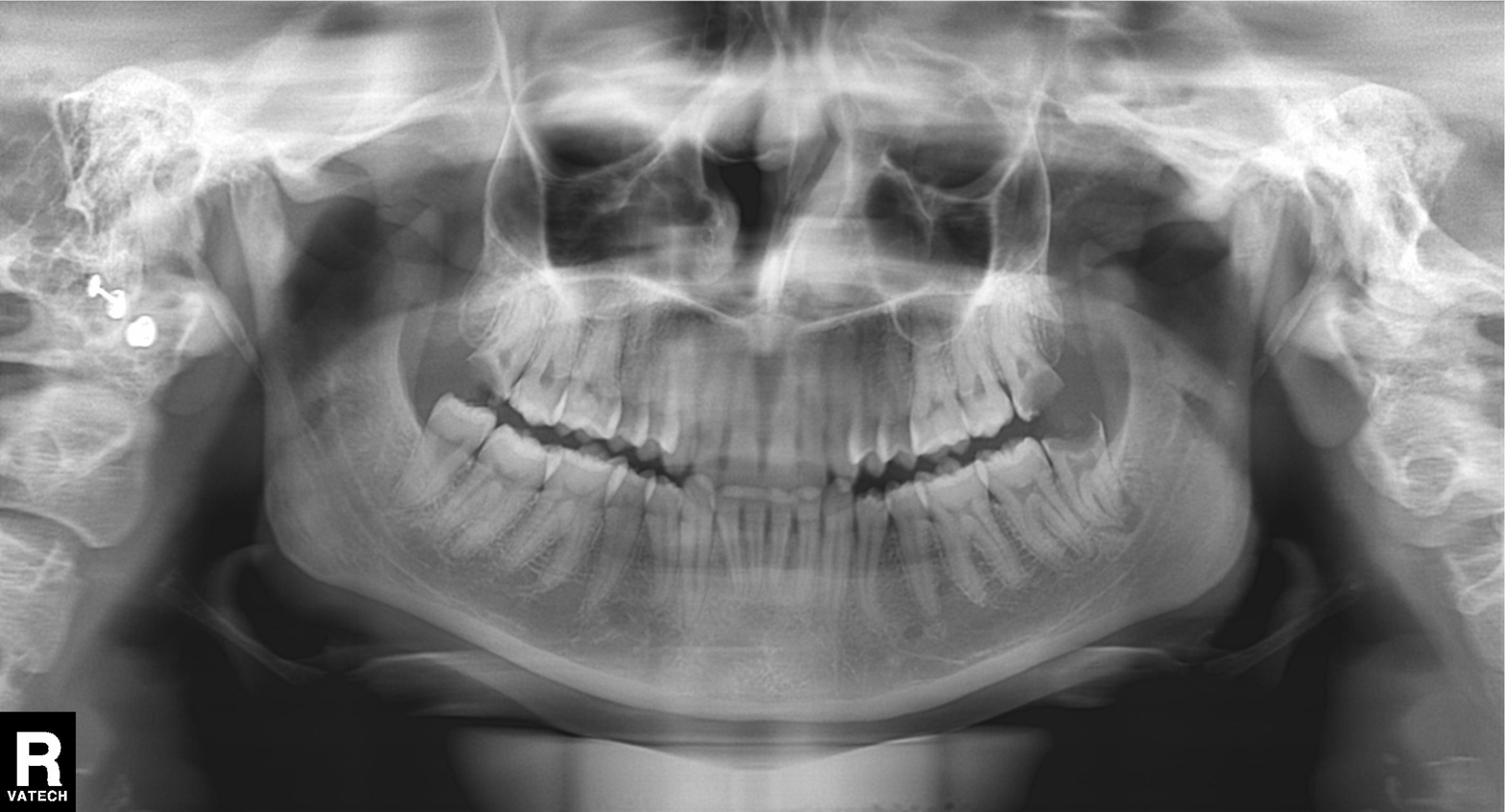
modality: panoramic dental radiograph (orthopantomogram)
finding: alveolar bone loss